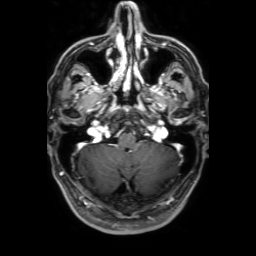
3 Tesla brain MRI.
Series: 3D T1-weighted with SENSE.
Study: ring-enhancing brain masses.